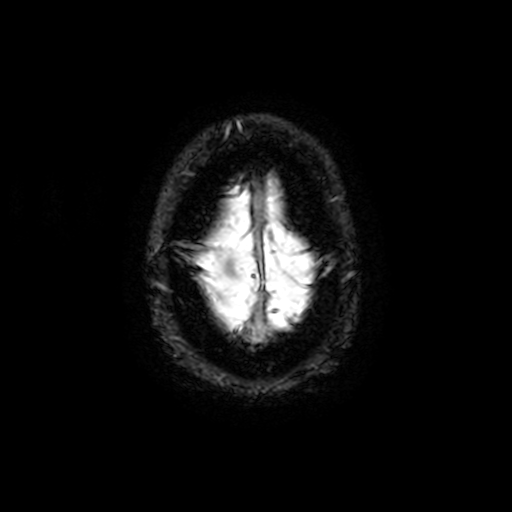
Summary: 3 Tesla brain MRI. Series: T2-weighted fast field echo with SENSE. Study: ring-enhancing brain masses.